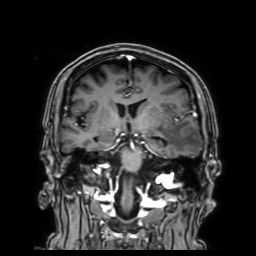
modality=3 Tesla brain MRI; series=3D T1-weighted with SENSE; study=ring-enhancing brain masses.